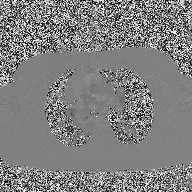
2D phase-contrast cine MRI of the ascending aorta, high-resolution GRAPPA acquisition.